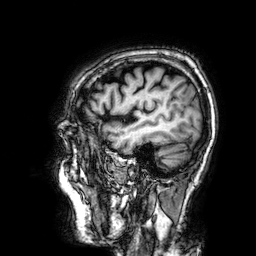
| field | value |
|---|---|
| modality | 3 Tesla brain MRI |
| series | 3D T1-weighted |
| study | ring-enhancing brain masses |